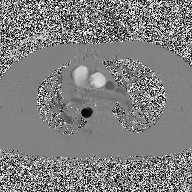
Case summary: 2D phase-contrast cine MRI of the ascending aorta, high-resolution GRAPPA acquisition.